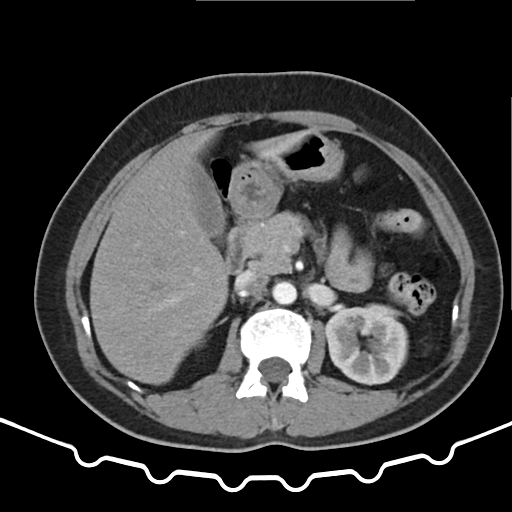
Clinical context: Multiphase abdominal CT, liver, arterial phase. Patient: female, age 52.